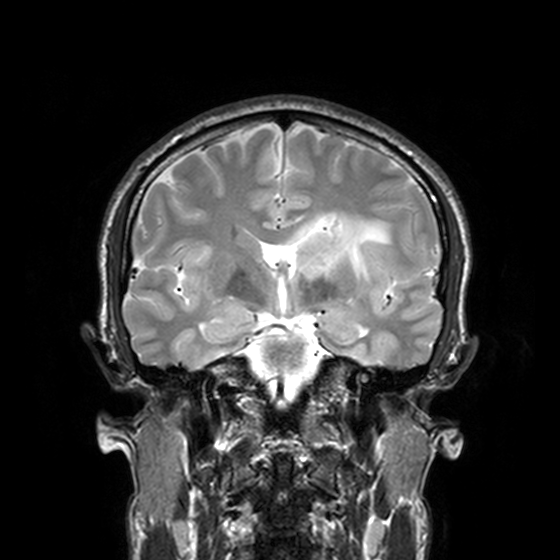
<scan>
  <modality>
    <type>brain MRI</type>
    <field_strength>3T</field_strength>
  </modality>
  <series>T2-weighted turbo spin echo, 3 mm</series>
  <study_topic>ring-enhancing brain masses</study_topic>
</scan>